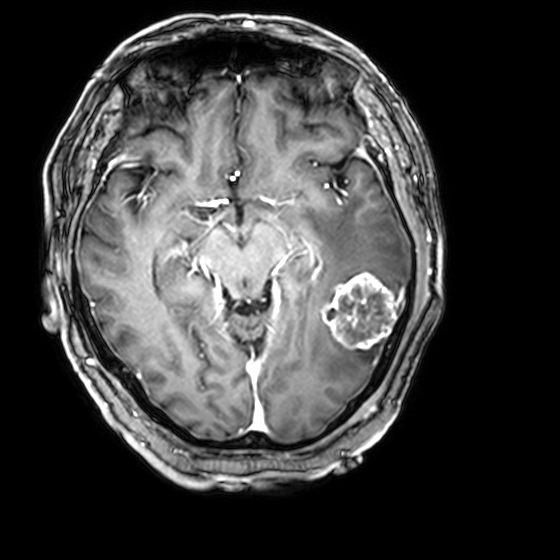
- modality · 3 Tesla brain MRI
- series · 3D T1-weighted with CLEAR
- study · ring-enhancing brain masses